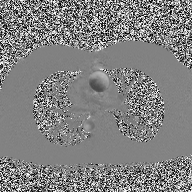
• modality · 2D phase-contrast cine MRI of the ascending aorta